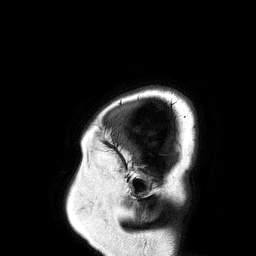
<study>
<modality>
  <type>brain MRI</type>
  <field_strength>3T</field_strength>
</modality>
<series>3D T1-weighted turbo field echo</series>
<study_topic>ring-enhancing brain masses</study_topic>
</study>